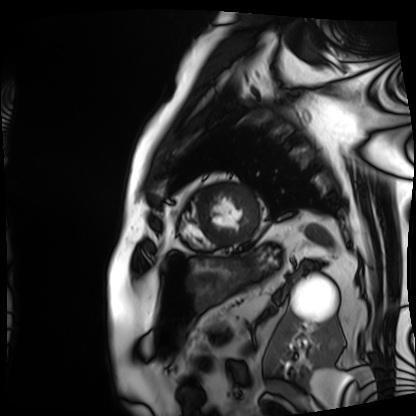
modality: cardiac MRI | subject group: patient.